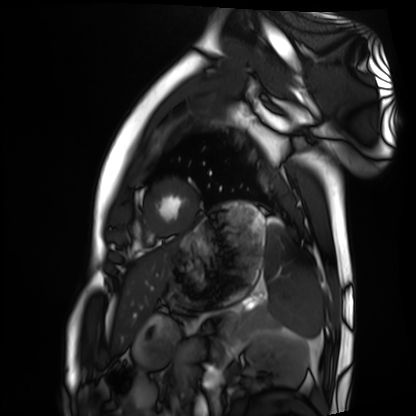
Cardiac MRI. Subject group: healthy volunteer.